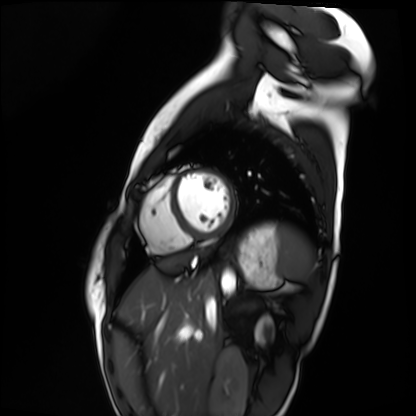
Cardiac MRI. Subject group: healthy volunteer.